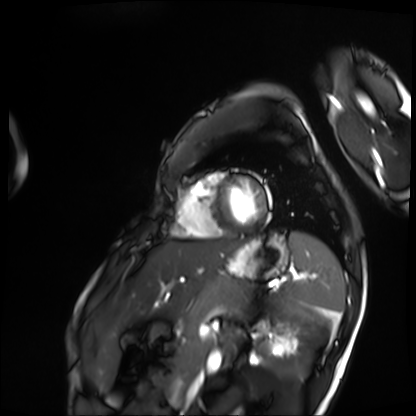
modality=cardiac MRI | subject group=patient.